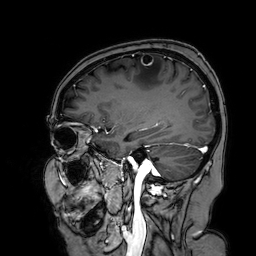
modality = 3 Tesla brain MRI
series = 3D T1-weighted turbo field echo with SENSE
study = ring-enhancing brain masses